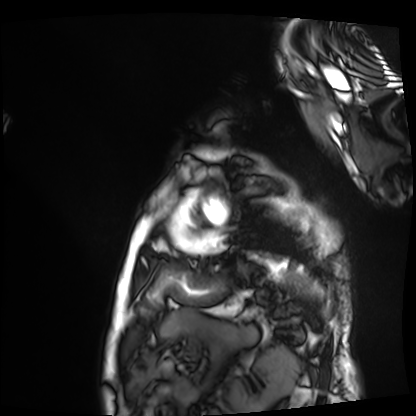
Summary: Cardiac MRI. Subject group: patient.